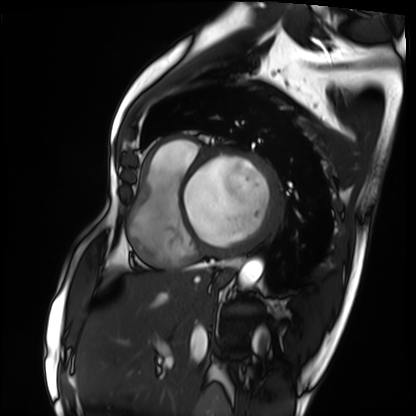
Cardiac MRI. Subject group: patient.